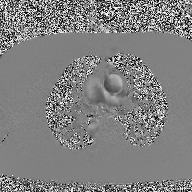
{"modality": {"type": "2D phase-contrast cine MRI", "region": "ascending aorta", "reconstruction": "high-resolution GRAPPA acquisition"}}